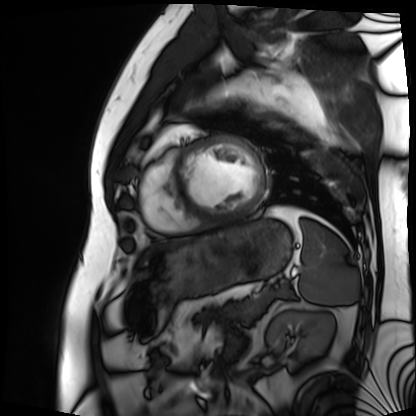
<record>
<modality>cardiac MRI</modality>
<cohort>patient</cohort>
</record>